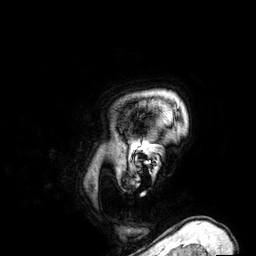
Q: What kind of scan is this?
A: 3 Tesla brain MRI.
Study: ring-enhancing brain masses.